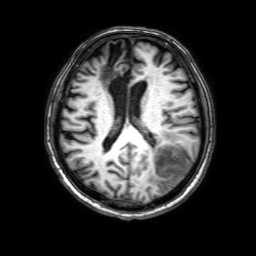
Clinical context:
3 Tesla brain MRI. Series: 3D T1-weighted with SENSE. Study: ring-enhancing brain masses.